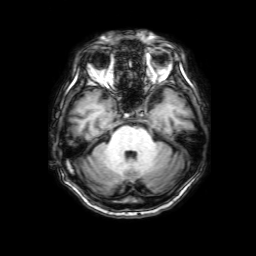
modality: 3 Tesla brain MRI
series: 3D T1-weighted with SENSE
study: ring-enhancing brain masses